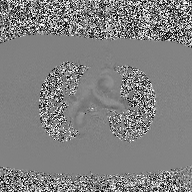
Case summary: 2D phase-contrast cine MRI of the ascending aorta, high-resolution GRAPPA acquisition.